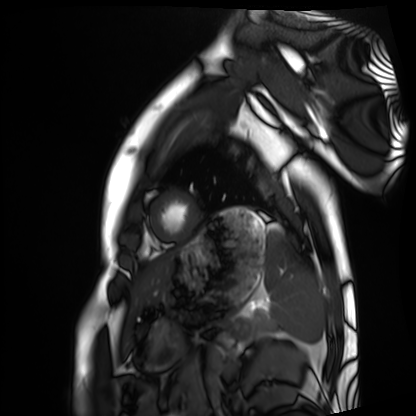
Cardiac MRI. Subject group: healthy volunteer.